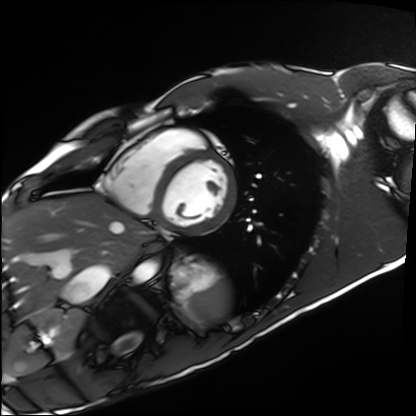
Cardiac MRI.
Subject group: healthy volunteer.